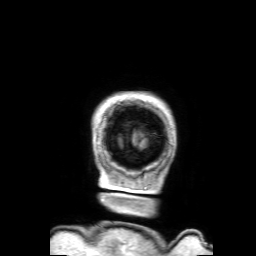
  modality:
    type: brain MRI
    field_strength: 3T
  series: 3D T1-weighted with SENSE
  study_topic: ring-enhancing brain masses